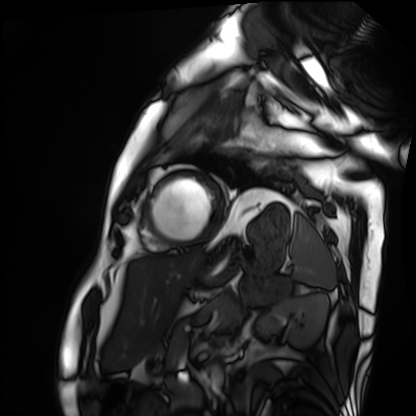
  modality: cardiac MRI
  cohort: patient